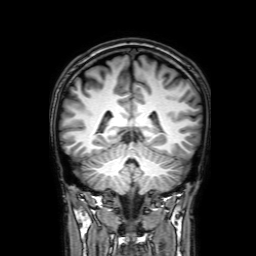
modality: 3 Tesla brain MRI | study: ring-enhancing brain masses.